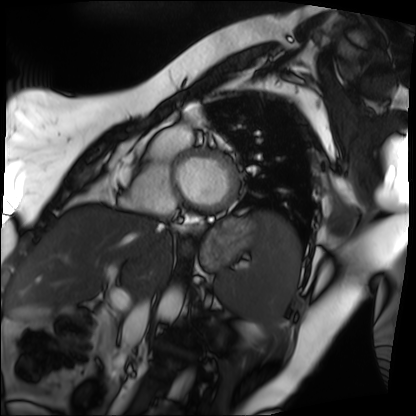
Cardiac MRI. Subject group: patient.